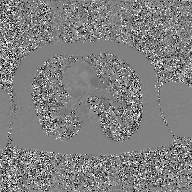
Case summary:
2D phase-contrast cine MRI of the ascending aorta, GAN super-resolution reconstruction.